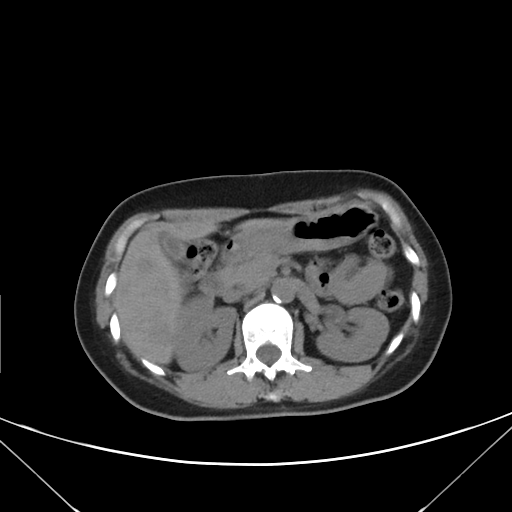
  modality:
    type: multiphase abdominal CT
    region: liver
    phase: non-contrast
  patient:
    sex: female
    age: 45
  history:
    - prior chemotherapy